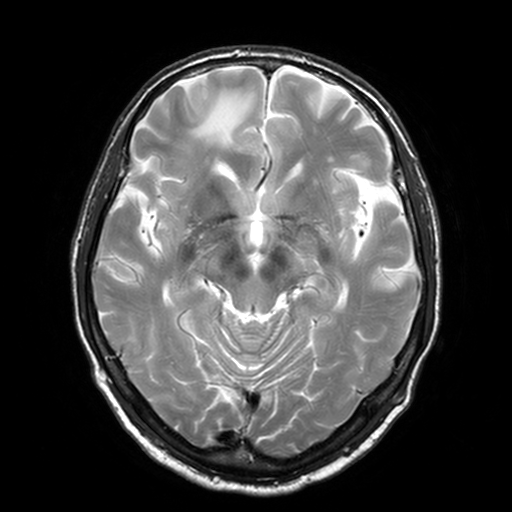
Summary: 3 Tesla brain MRI. Series: T2-weighted turbo spin echo, 3 mm. Study: ring-enhancing brain masses.